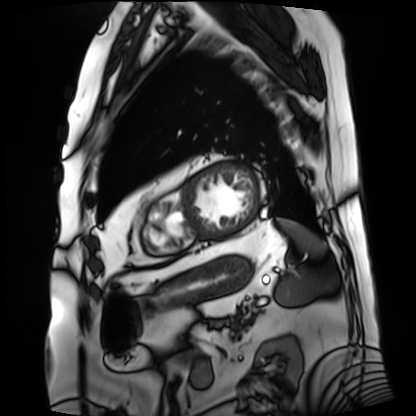
Clinical context: Cardiac MRI. Subject group: patient.